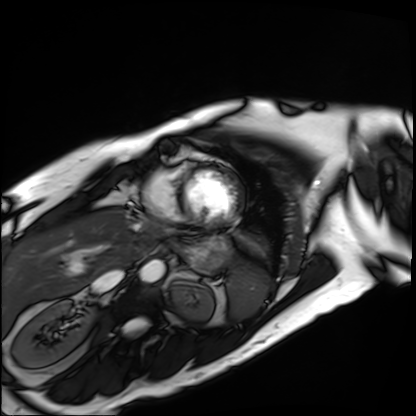
{"modality": "cardiac MRI", "cohort": "patient"}